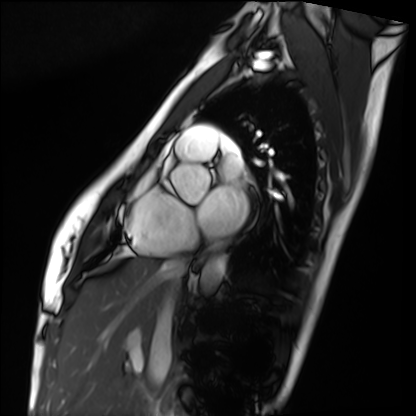
Cardiac MRI.
Subject group: healthy volunteer.